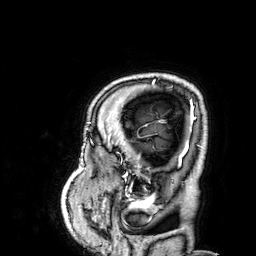
{"modality": {"type": "brain MRI", "field_strength": "3T"}, "series": "3D T1-weighted", "study_topic": "ring-enhancing brain masses"}